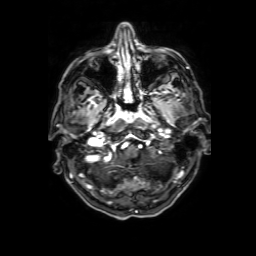
{
  "modality": {
    "type": "brain MRI",
    "field_strength": "3T"
  },
  "study_topic": "ring-enhancing brain masses"
}